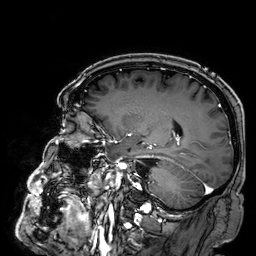
modality=3 Tesla brain MRI; series=3D T1-weighted; study=ring-enhancing brain masses.